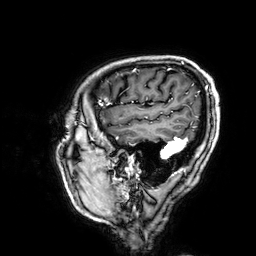
3 Tesla brain MRI. Series: 3D T1-weighted. Study: ring-enhancing brain masses.